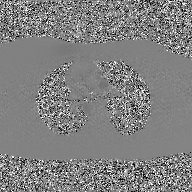
Case summary: 2D phase-contrast cine MRI of the ascending aorta, GAN super-resolution reconstruction.